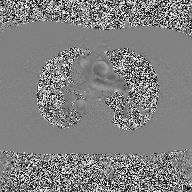
2D phase-contrast cine MRI of the ascending aorta, high-resolution GRAPPA acquisition.